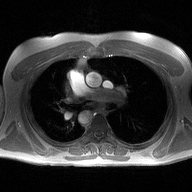
2D phase-contrast cine MRI of the ascending aorta, high-resolution GRAPPA acquisition.